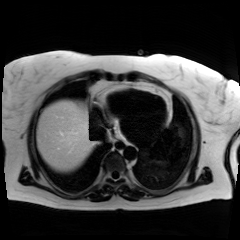
{"modality": "chemical-shift-encoded cardiac MRI"}